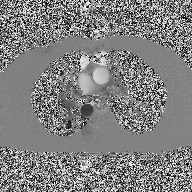
2D phase-contrast cine MRI of the ascending aorta, high-resolution GRAPPA acquisition.